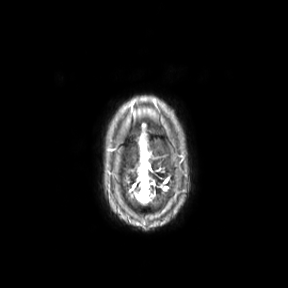
3 Tesla brain MRI. Series: axial. Study: ring-enhancing brain masses.